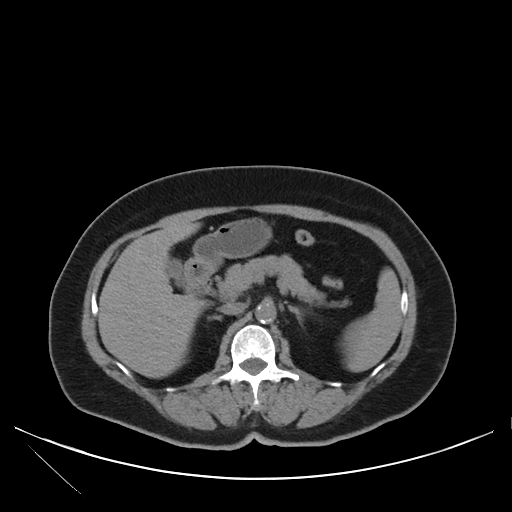
Multiphase abdominal CT, liver, non-contrast phase. Patient: female, age 71. History: viral hepatitis.